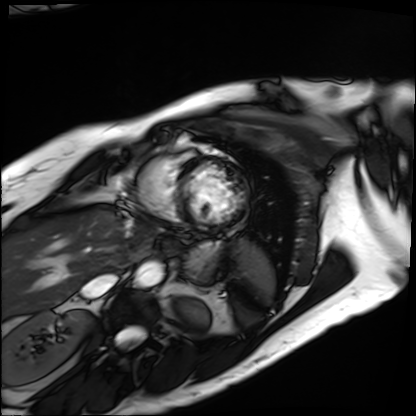
modality = cardiac MRI, subject group = patient.